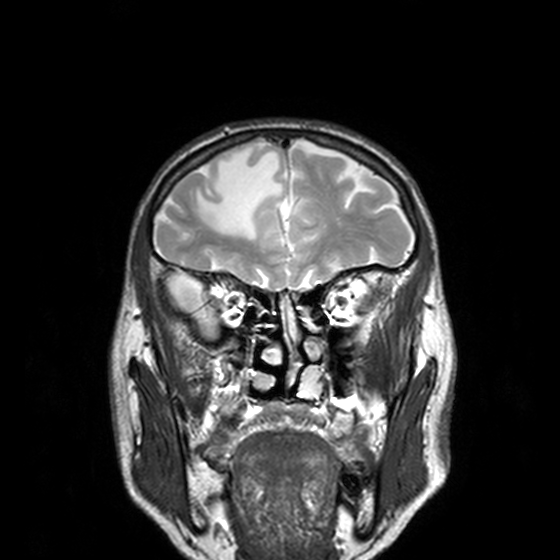
modality:
  type: brain MRI
  field_strength: 3T
series: T2-weighted turbo spin echo, 3 mm
study_topic: ring-enhancing brain masses